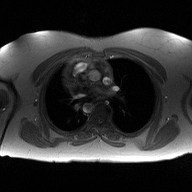
Case summary:
2D phase-contrast cine MRI of the ascending aorta, high-resolution GRAPPA acquisition.